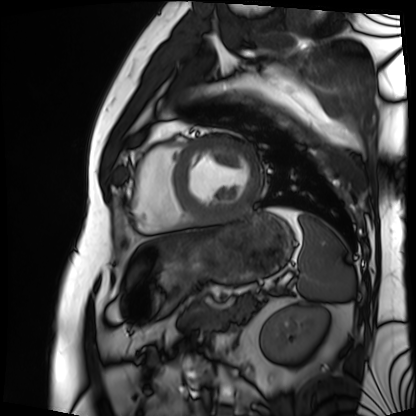
Cardiac MRI. Subject group: patient.